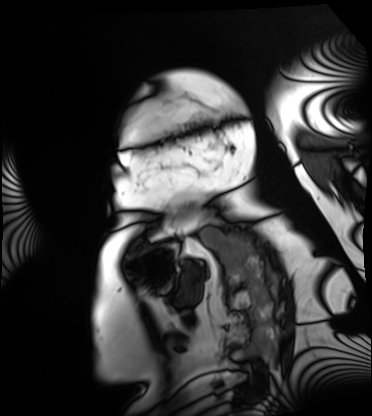
Q: What kind of scan is this?
A: Cardiac MRI.
Subject group: patient.